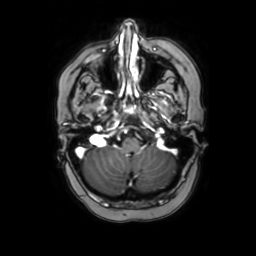
3 Tesla brain MRI. Study: ring-enhancing brain masses.